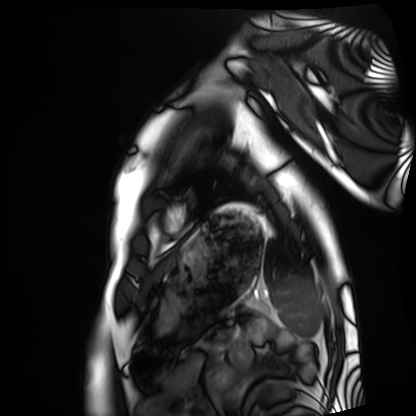
Q: What kind of scan is this?
A: Cardiac MRI.
Subject group: healthy volunteer.